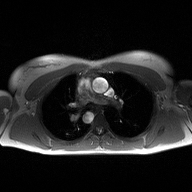
Case:
* modality · 2D phase-contrast cine MRI of the ascending aorta